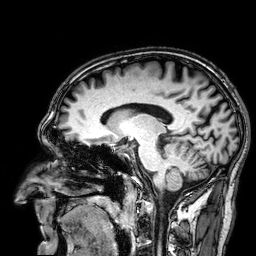
3 Tesla brain MRI. Series: 3D T1-weighted. Study: ring-enhancing brain masses.